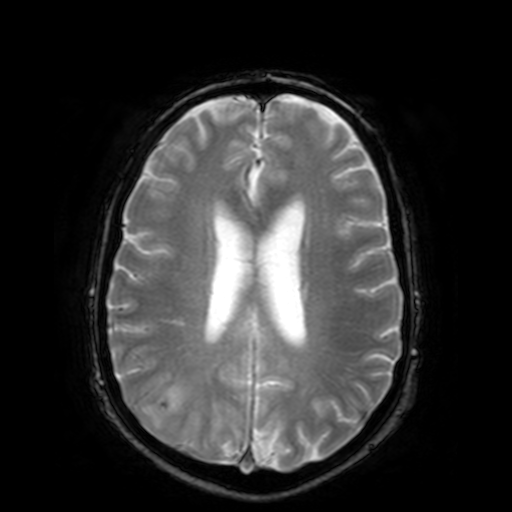
3 Tesla brain MRI. Series: T2-weighted fast field echo. Study: ring-enhancing brain masses.